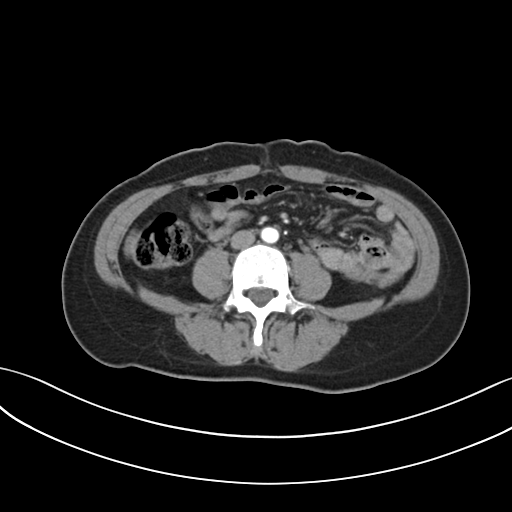
modality — multiphase abdominal CT, liver, arterial phase; patient — female, age 43; history — prior chemotherapy.